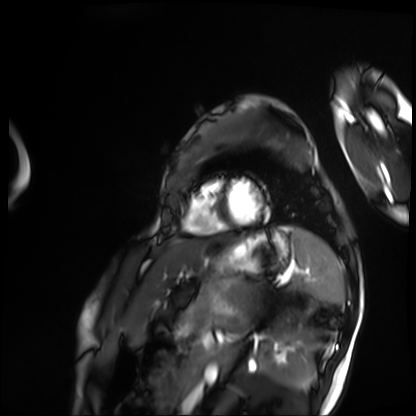
Cardiac MRI.
Subject group: patient.